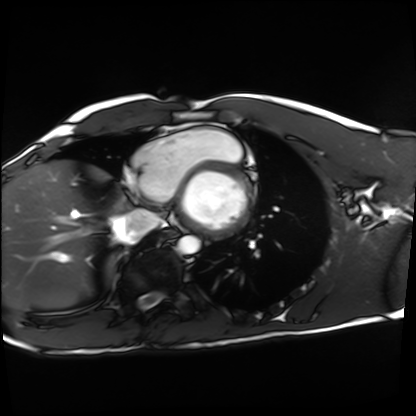
Case summary:
Cardiac MRI. Subject group: healthy volunteer.